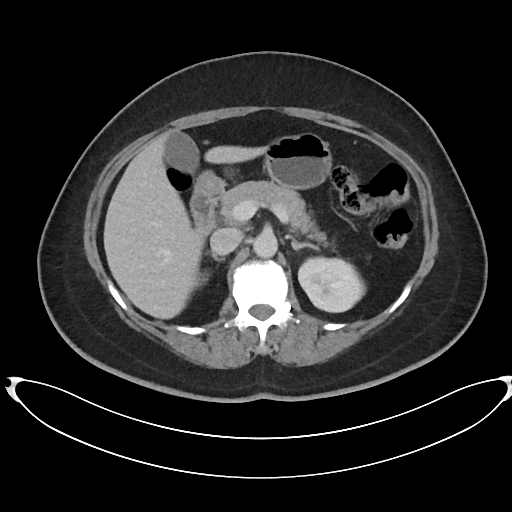
* modality — multiphase abdominal CT, liver, portal venous phase